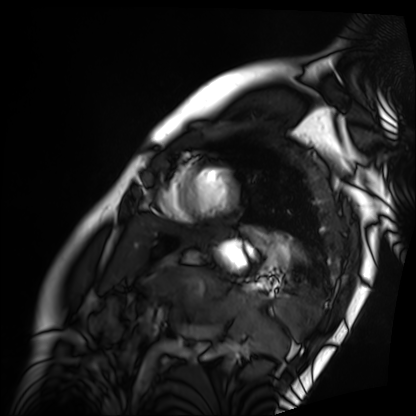
| field | value |
|---|---|
| modality | cardiac MRI |
| subject group | patient |